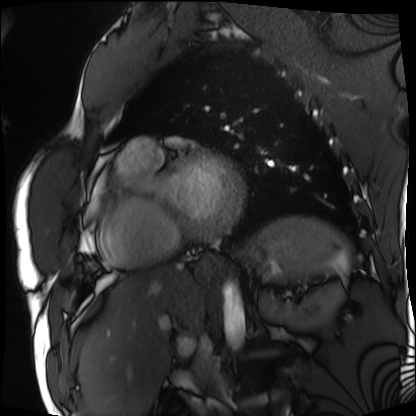
Summary: Cardiac MRI. Subject group: patient.